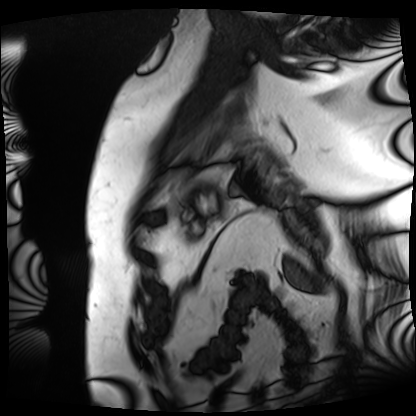
modality = cardiac MRI, subject group = patient.